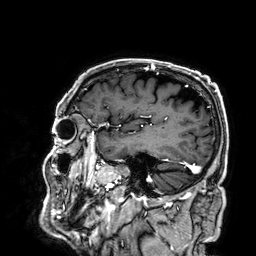
Summary: 3 Tesla brain MRI. Series: 3D T1-weighted. Study: ring-enhancing brain masses.